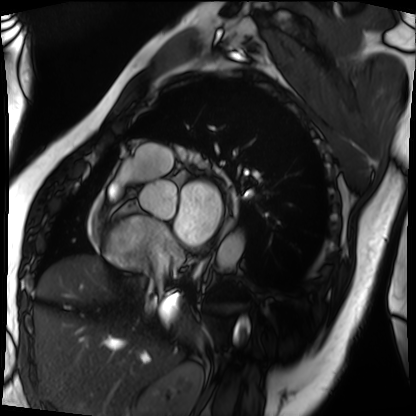
modality=cardiac MRI | subject group=patient.